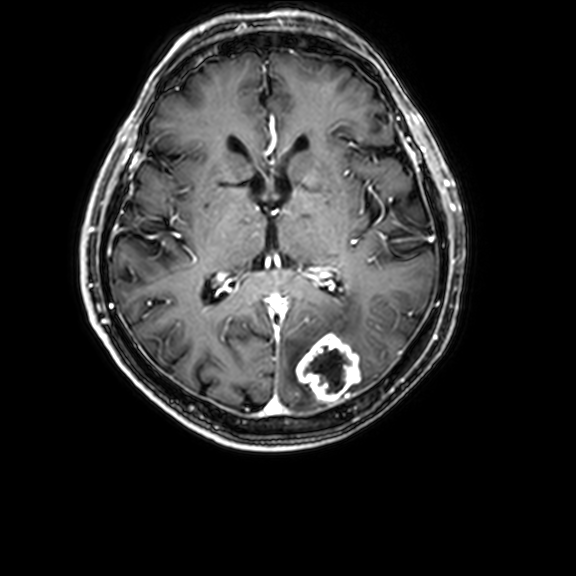
3 Tesla brain MRI. Series: 3D T1-weighted with CLEAR. Study: ring-enhancing brain masses.